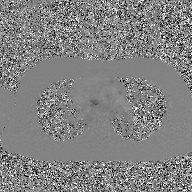
2D phase-contrast cine MRI of the ascending aorta, GAN super-resolution reconstruction.